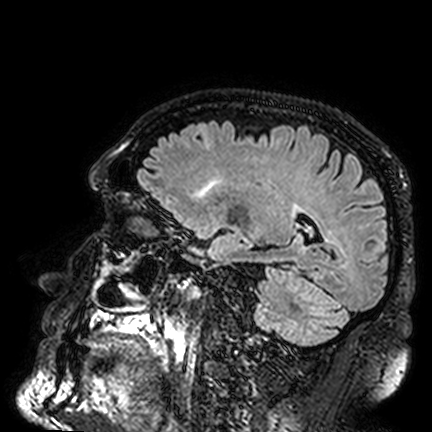
3 Tesla brain MRI. Series: FLAIR VISTA. Study: ring-enhancing brain masses.